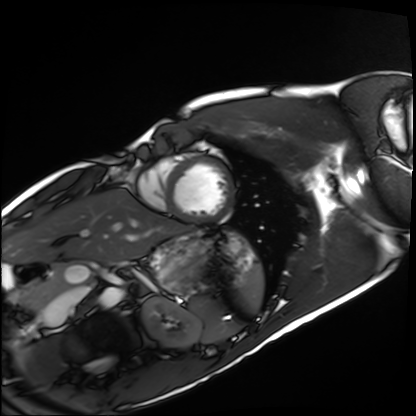
modality: cardiac MRI; subject group: healthy volunteer.